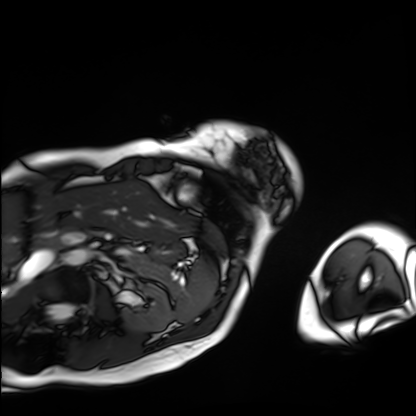
modality = cardiac MRI; subject group = patient.